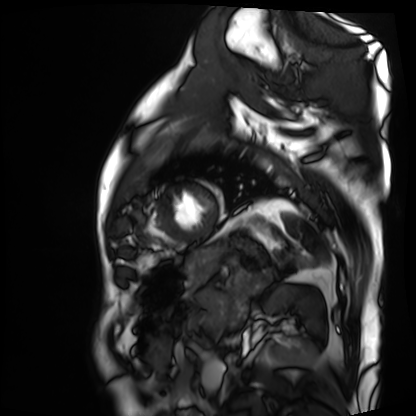
| field | value |
|---|---|
| modality | cardiac MRI |
| subject group | patient |